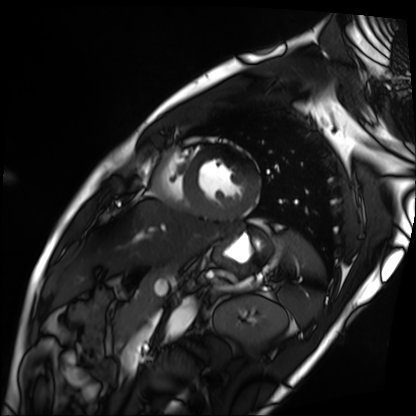
<scan>
<modality>cardiac MRI</modality>
<cohort>patient</cohort>
</scan>